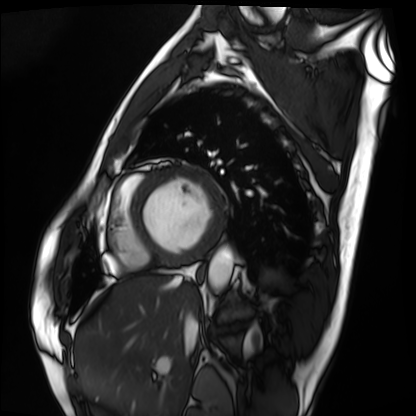
Q: What kind of scan is this?
A: Cardiac MRI.
Subject group: patient.